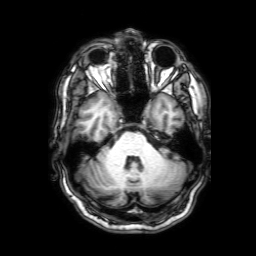
Q: What kind of scan is this?
A: 3 Tesla brain MRI.
Q: Series?
A: 3D T1-weighted with SENSE.
Study: ring-enhancing brain masses.